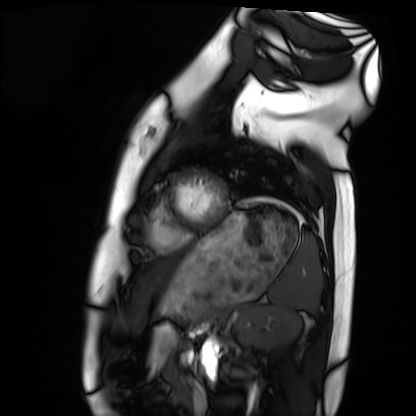
modality = cardiac MRI; subject group = healthy volunteer.